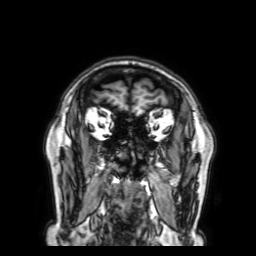
3 Tesla brain MRI. Study: ring-enhancing brain masses.